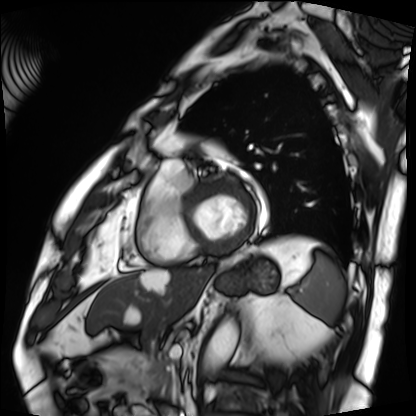
Cardiac MRI. Subject group: patient.